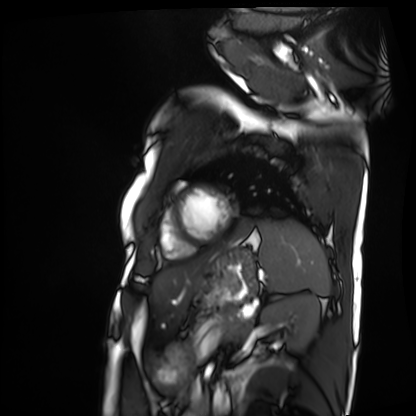
{
  "modality": "cardiac MRI",
  "cohort": "patient"
}